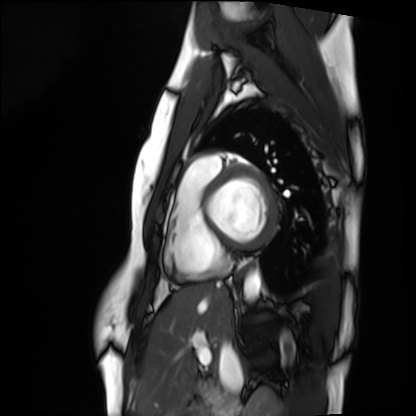
Summary:
Cardiac MRI. Subject group: healthy volunteer.